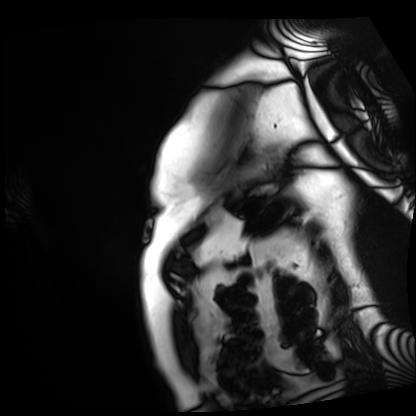
Summary:
Cardiac MRI. Subject group: patient.